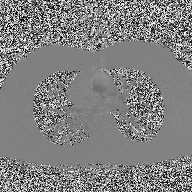
2D phase-contrast cine MRI of the ascending aorta, high-resolution GRAPPA acquisition.